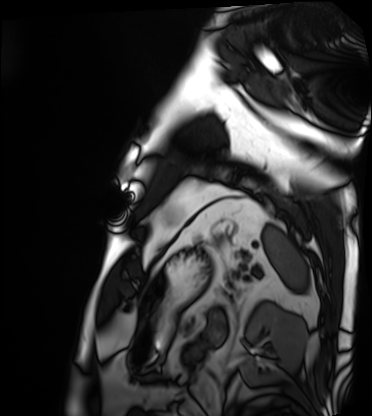
Cardiac MRI.
Subject group: patient.